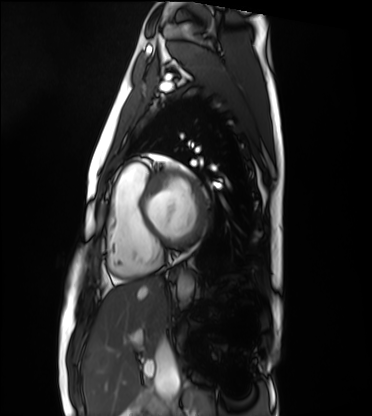
modality = cardiac MRI | subject group = healthy volunteer.